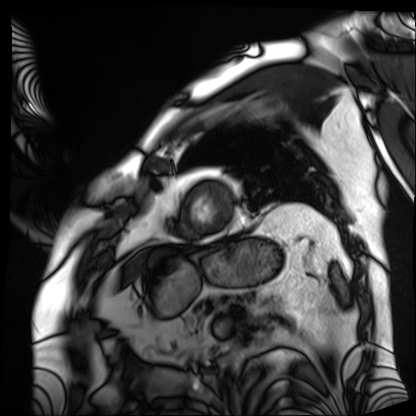
Case summary: Cardiac MRI. Subject group: patient.